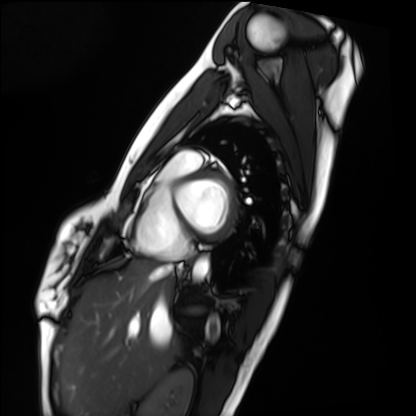
Case summary: Cardiac MRI. Subject group: healthy volunteer.